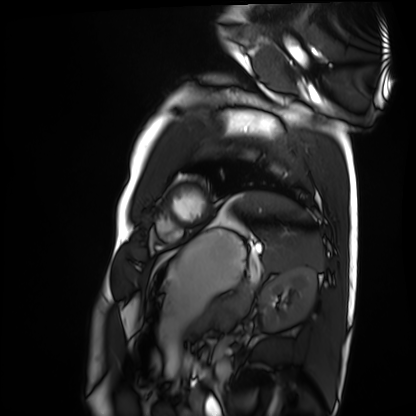
Q: What kind of scan is this?
A: Cardiac MRI.
Subject group: healthy volunteer.